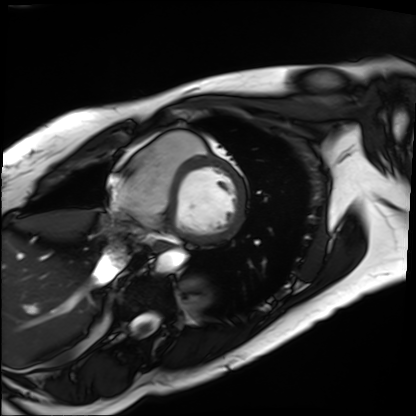
Q: What kind of scan is this?
A: Cardiac MRI.
Subject group: patient.